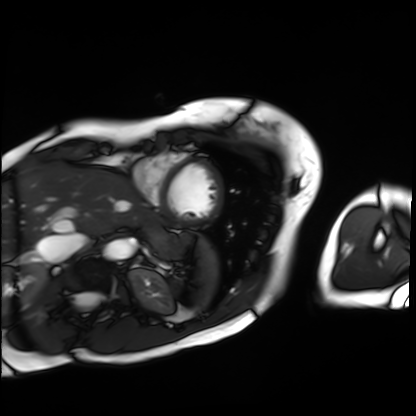
Cardiac MRI.
Subject group: patient.